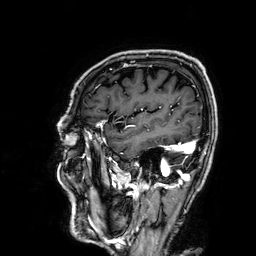
modality:
  type: brain MRI
  field_strength: 3T
series: 3D T1-weighted
study_topic: ring-enhancing brain masses